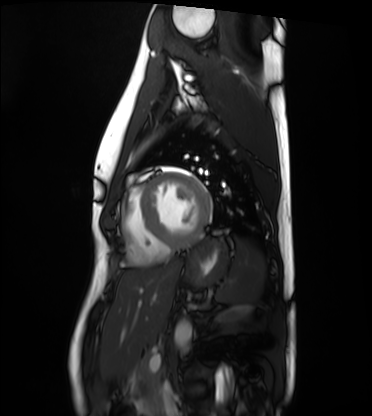
modality: cardiac MRI
cohort: healthy volunteer